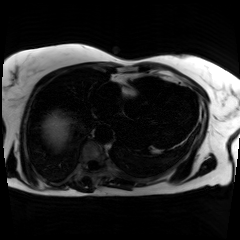
modality=chemical-shift-encoded cardiac MRI.